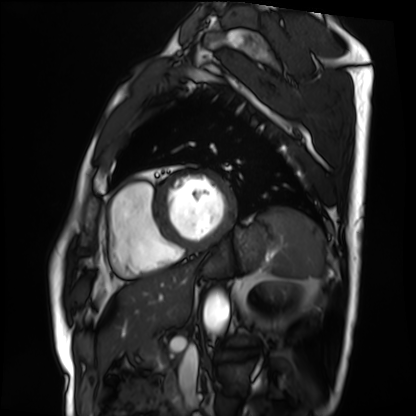
Case summary: Cardiac MRI. Subject group: patient.